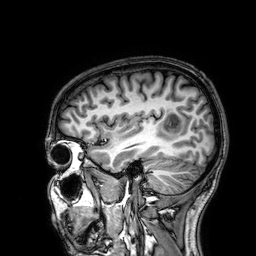
Clinical context:
3 Tesla brain MRI. Series: 3D T1-weighted. Study: ring-enhancing brain masses.